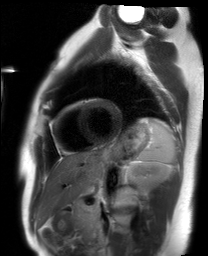
Cardiac MRI.
Subject group: healthy volunteer.